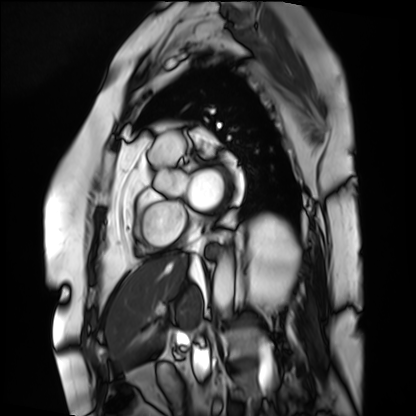
{
  "modality": "cardiac MRI",
  "cohort": "patient"
}